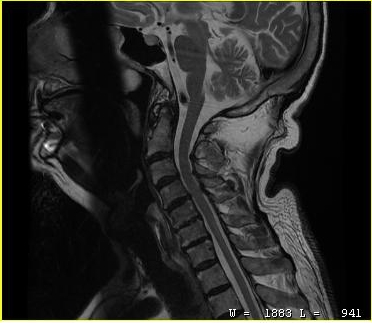
MRI of the cervical spine. Study: cervical spondylosis.